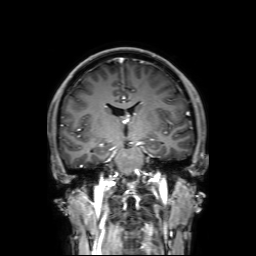
Q: What kind of scan is this?
A: 3 Tesla brain MRI.
Q: Series?
A: 3D T1-weighted with SENSE.
Study: ring-enhancing brain masses.